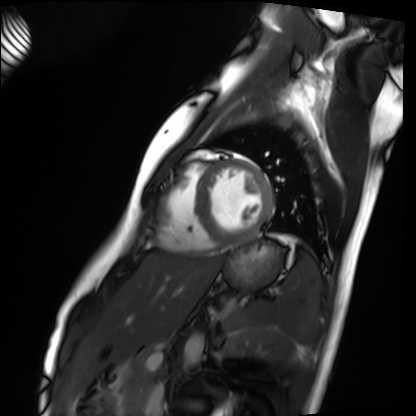
modality: cardiac MRI
cohort: healthy volunteer